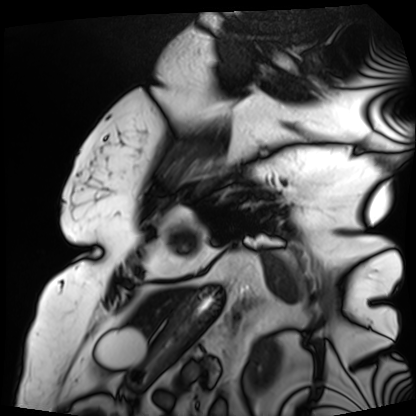
Q: What kind of scan is this?
A: Cardiac MRI.
Subject group: patient.